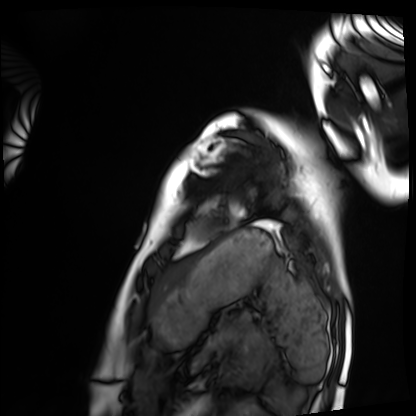
Cardiac MRI. Subject group: healthy volunteer.